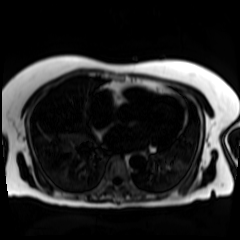
Chemical-shift-encoded cardiac MRI.